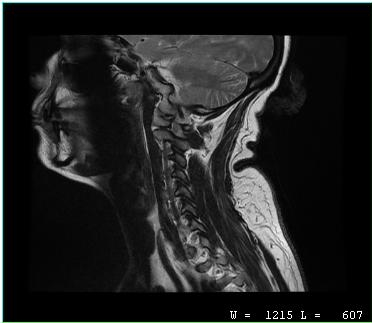
modality — MRI of the cervical spine
study — cervical spondylosis